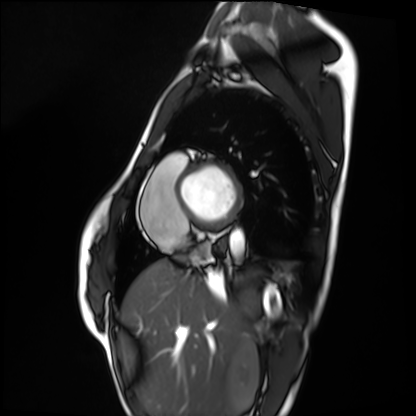
modality: cardiac MRI; subject group: healthy volunteer.